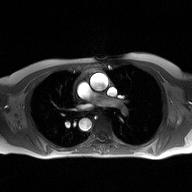
Summary:
2D phase-contrast cine MRI of the ascending aorta, high-resolution GRAPPA acquisition.